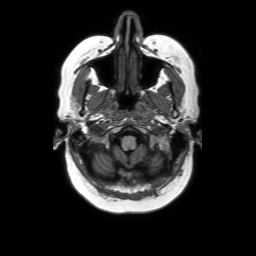
Q: What kind of scan is this?
A: 3 Tesla brain MRI.
Q: Series?
A: Axial without contrast.
Study: ring-enhancing brain masses.